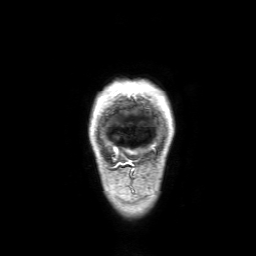
Q: What kind of scan is this?
A: 3 Tesla brain MRI.
Q: Series?
A: 3D T1-weighted with SENSE.
Study: ring-enhancing brain masses.